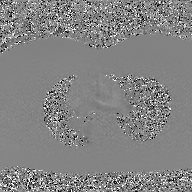
* modality · 2D phase-contrast cine MRI of the ascending aorta, GAN super-resolution reconstruction